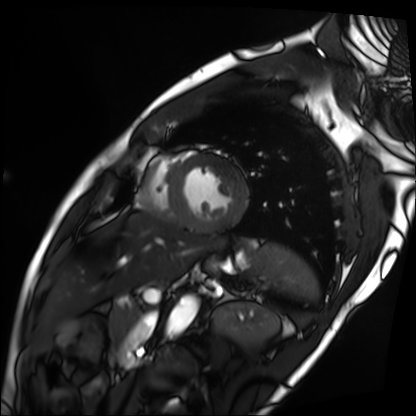
Case summary:
Cardiac MRI. Subject group: patient.